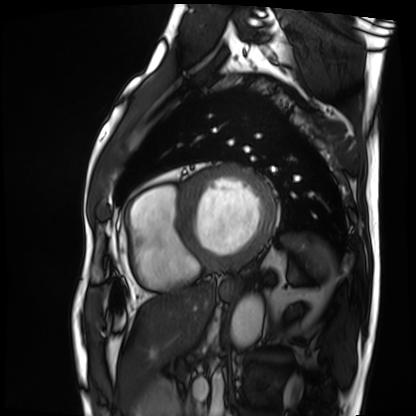
modality: cardiac MRI; subject group: patient.